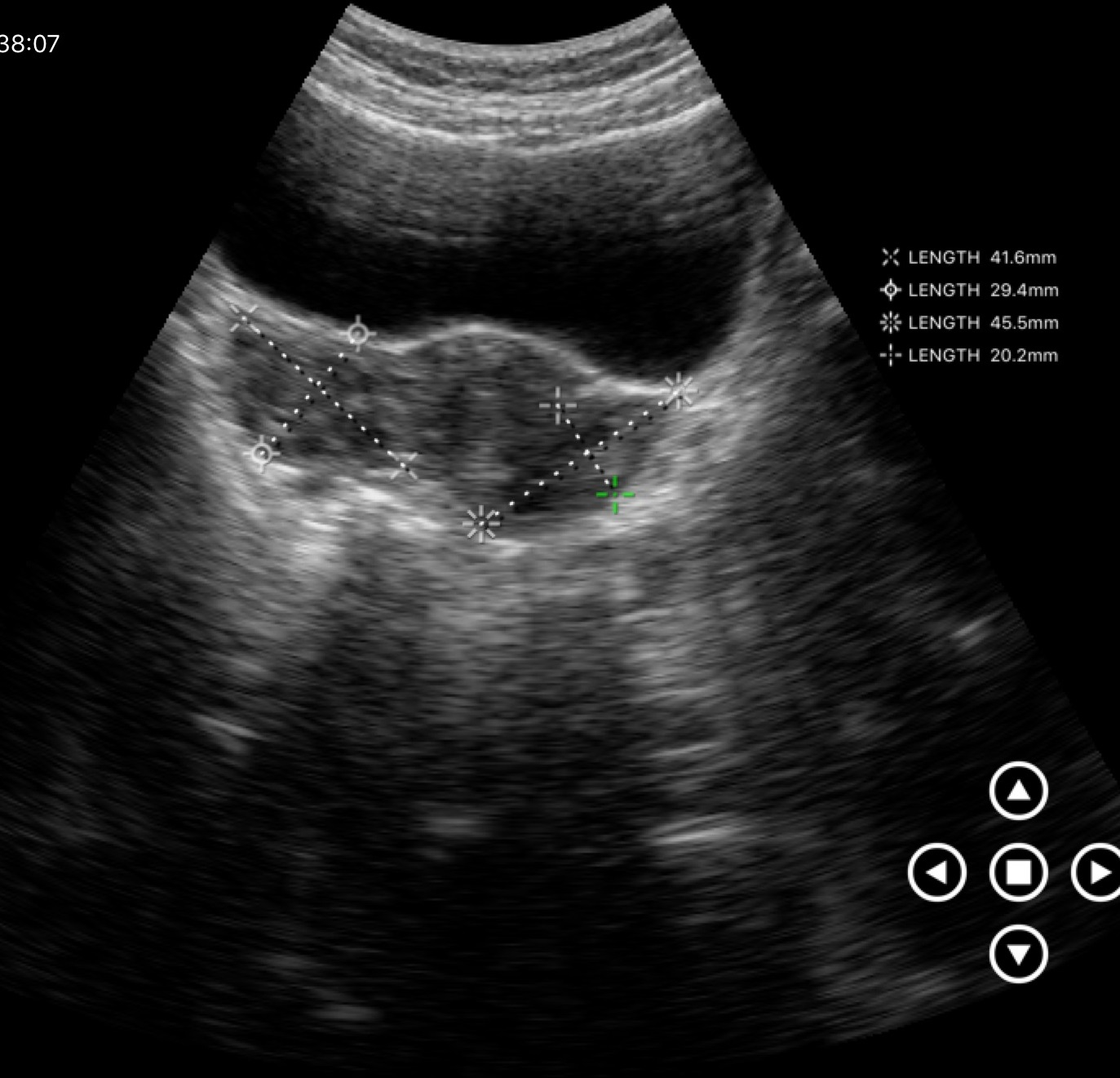
Genitourinary ultrasound.